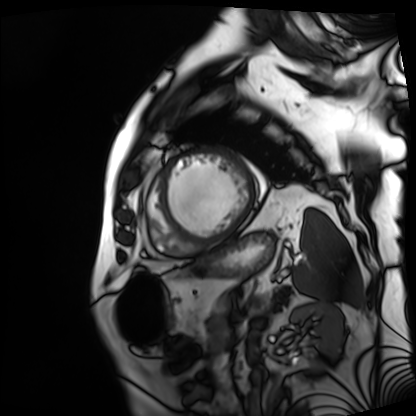
Summary:
Cardiac MRI. Subject group: patient.